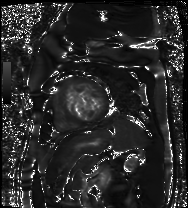
Summary: Cardiac MR image of the myocardium. Subject cohort: cardiac patient.